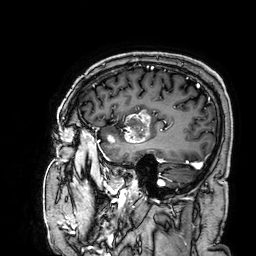
Case summary:
3 Tesla brain MRI. Series: 3D T1-weighted. Study: ring-enhancing brain masses.